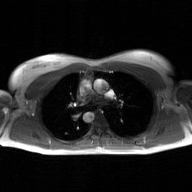
modality: 2D phase-contrast cine MRI of the ascending aorta, GAN super-resolution reconstruction